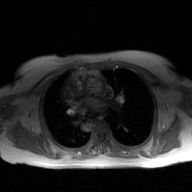
Q: What kind of scan is this?
A: 2D phase-contrast cine MRI of the ascending aorta, GAN super-resolution reconstruction.